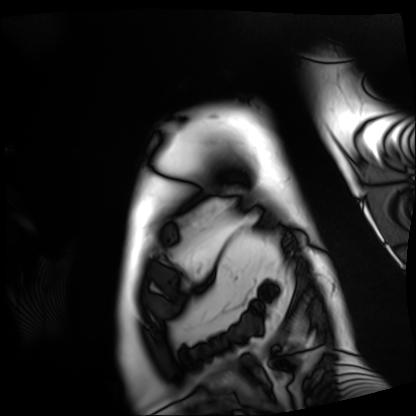
Cardiac MRI. Subject group: patient.